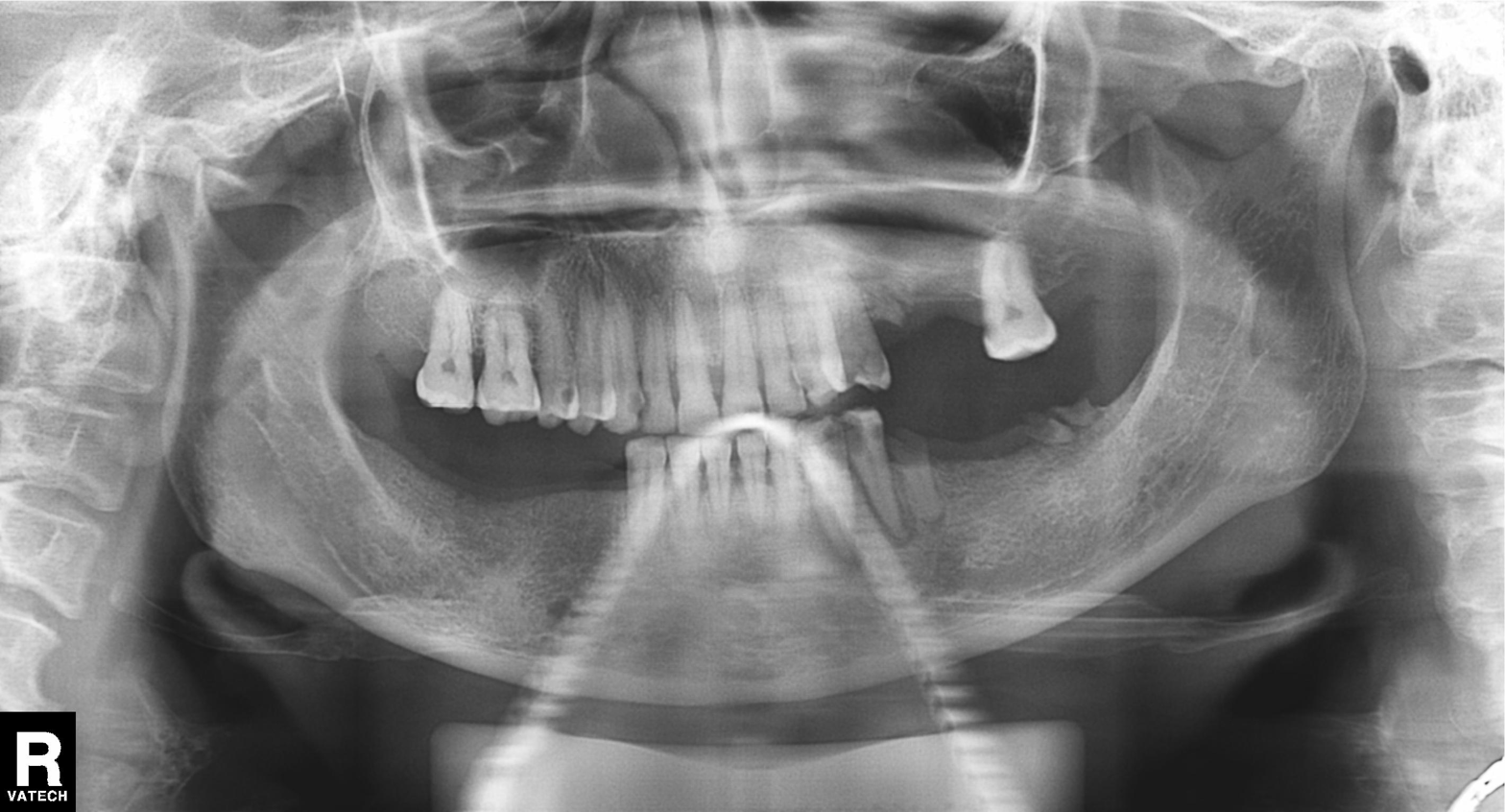
• modality — panoramic dental radiograph (orthopantomogram)
• finding — tooth impaction